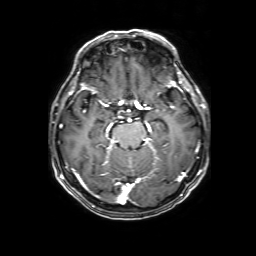
3 Tesla brain MRI.
Series: 3D T1-weighted with SENSE.
Study: ring-enhancing brain masses.